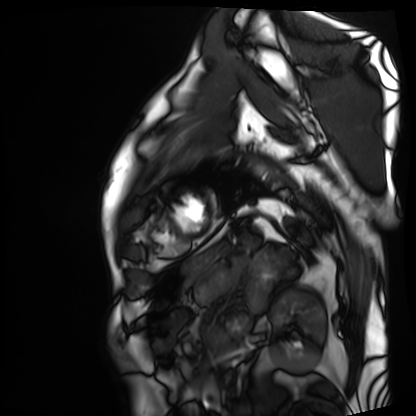
modality = cardiac MRI, subject group = patient.